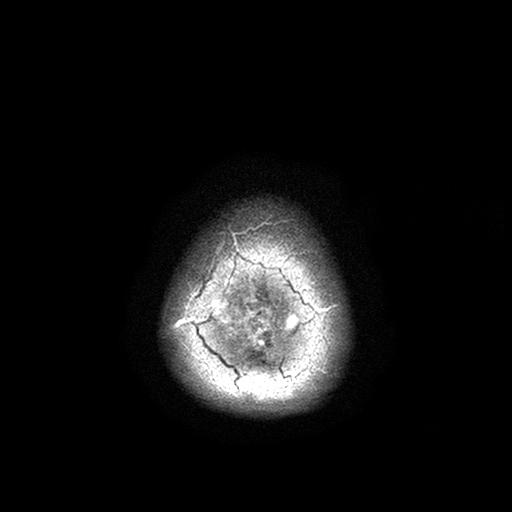
Clinical context: 3 Tesla brain MRI. Series: T2-weighted turbo spin echo with SENSE. Study: ring-enhancing brain masses.